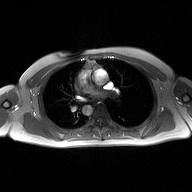
<case>
  <modality>
    <type>2D phase-contrast cine MRI</type>
    <region>ascending aorta</region>
    <reconstruction>high-resolution GRAPPA acquisition</reconstruction>
  </modality>
</case>